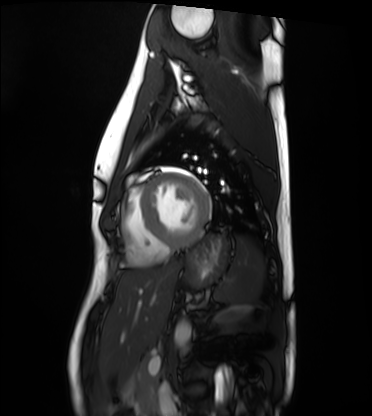
Cardiac MRI.
Subject group: healthy volunteer.